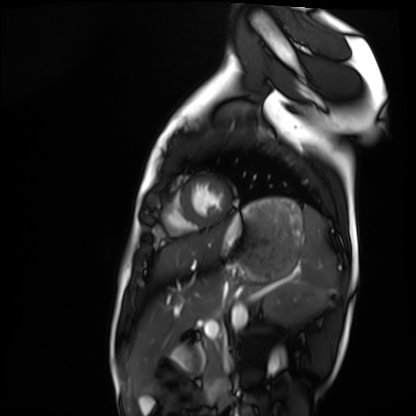
modality: cardiac MRI
subject group: healthy volunteer